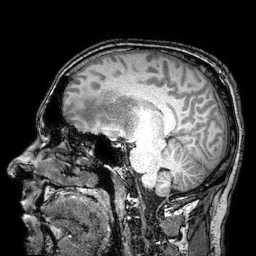
Summary:
3 Tesla brain MRI. Series: 3D T1-weighted turbo field echo with SENSE. Study: ring-enhancing brain masses.